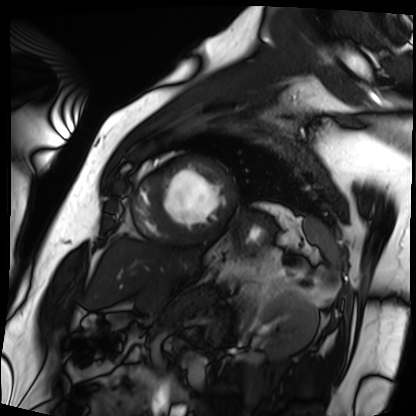
Summary: Cardiac MRI. Subject group: patient.